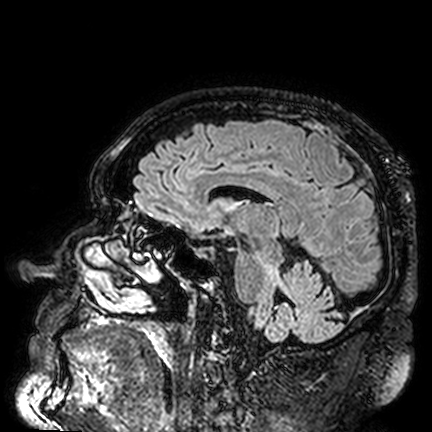
modality: 3 Tesla brain MRI; study: ring-enhancing brain masses.